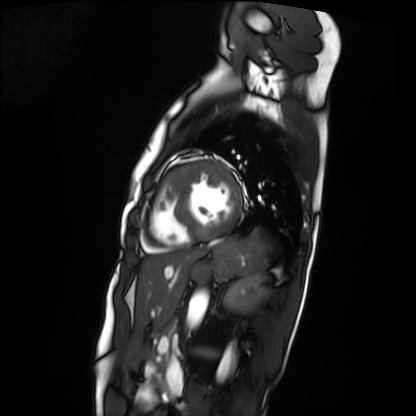
- modality · cardiac MRI
- subject group · patient